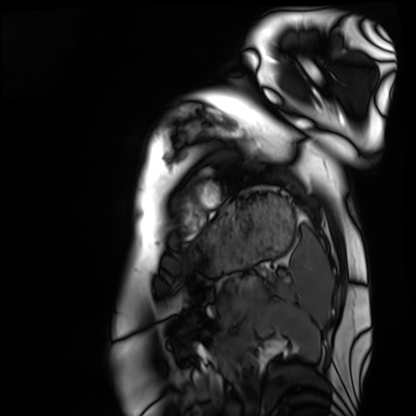
Summary: Cardiac MRI. Subject group: healthy volunteer.